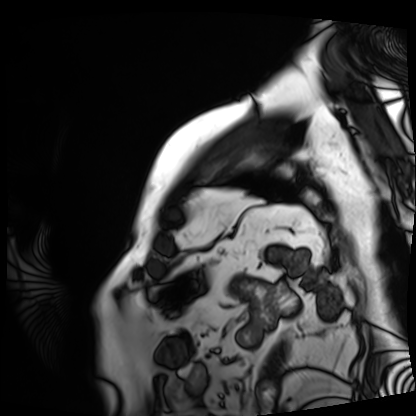
modality: cardiac MRI; subject group: patient.